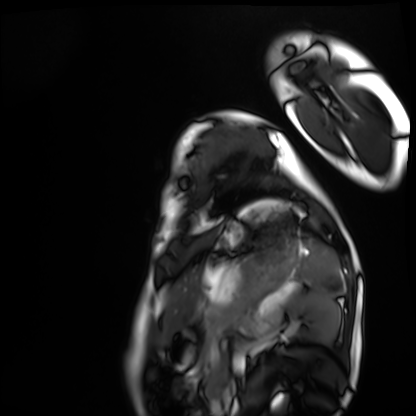
{"modality": "cardiac MRI", "cohort": "healthy volunteer"}